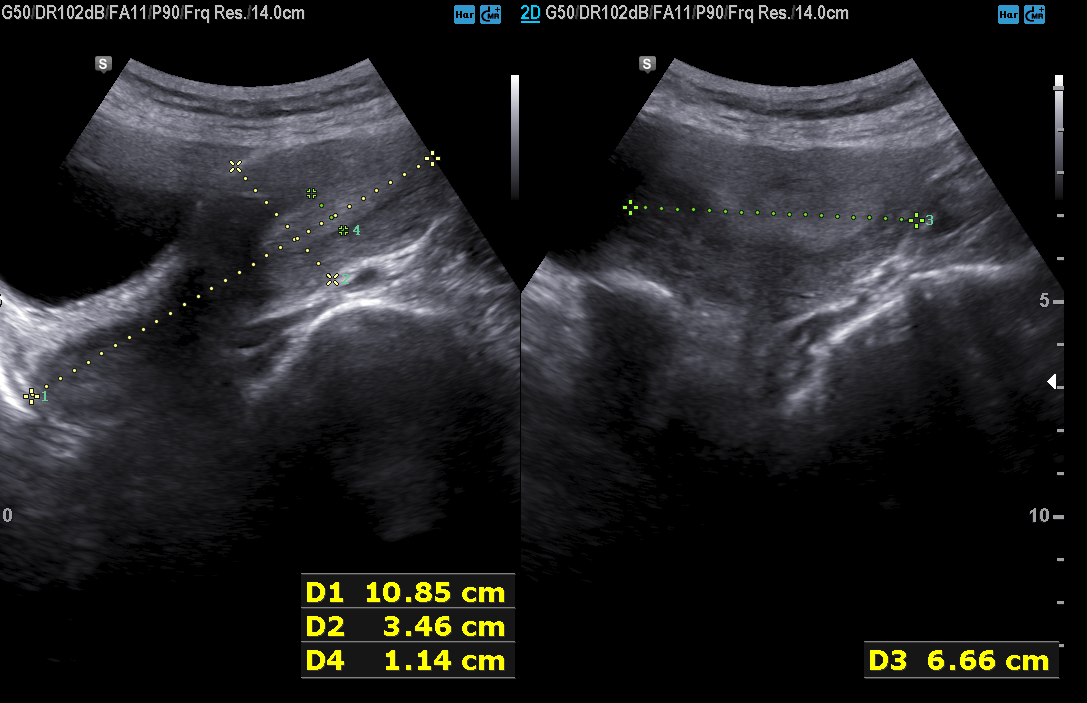
* modality — genitourinary ultrasound